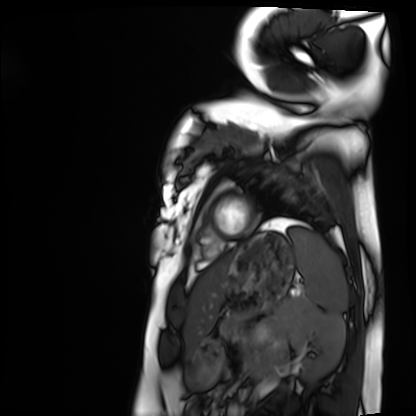
Cardiac MRI. Subject group: healthy volunteer.